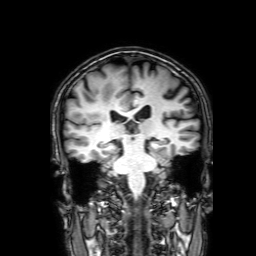
modality=3 Tesla brain MRI | series=3D T1-weighted with SENSE | study=ring-enhancing brain masses.